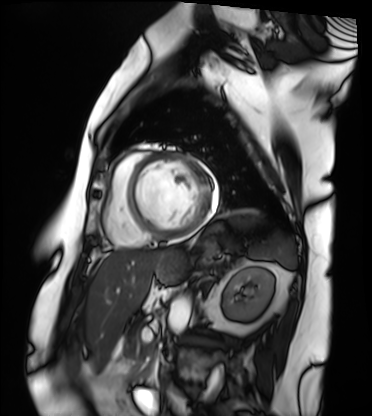
– modality: cardiac MRI
– subject group: patient